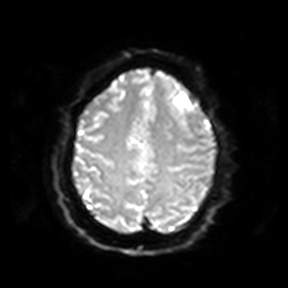
3 Tesla brain MRI. Series: diffusion-weighted imaging. Study: ring-enhancing brain masses.